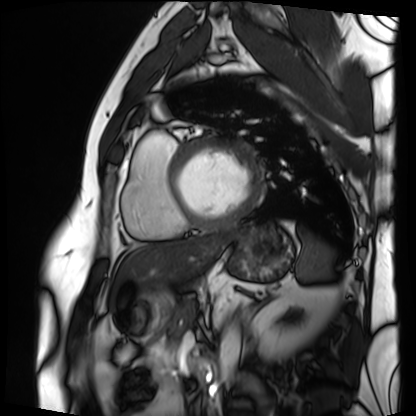
Clinical context:
Cardiac MRI. Subject group: patient.